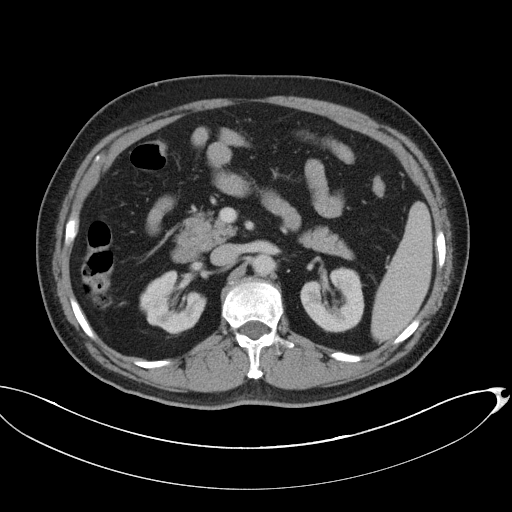
Case:
• modality · multiphase abdominal CT, liver, portal venous phase
• patient · male, age 67
• history · cirrhosis, viral hepatitis